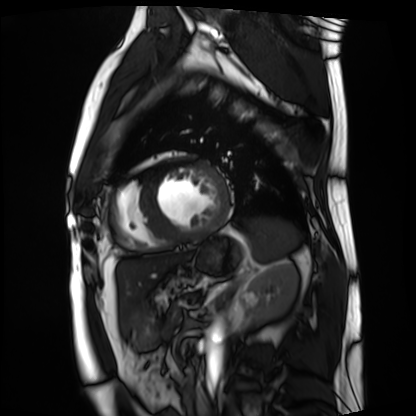
Summary: Cardiac MRI. Subject group: patient.